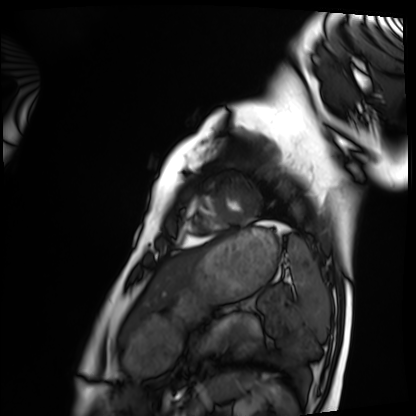
{"modality": "cardiac MRI", "cohort": "healthy volunteer"}